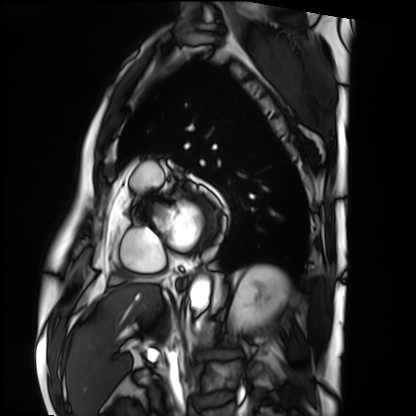
Q: What kind of scan is this?
A: Cardiac MRI.
Subject group: patient.